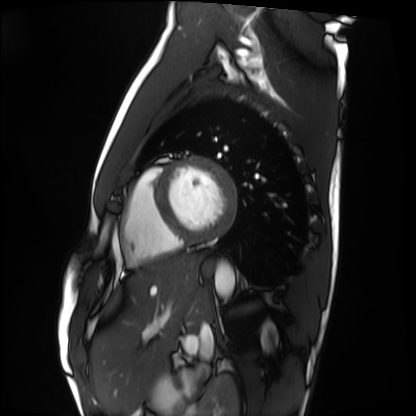
<record>
<modality>cardiac MRI</modality>
<cohort>healthy volunteer</cohort>
</record>